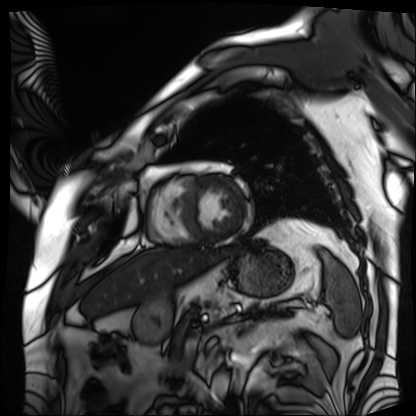
<record>
<modality>cardiac MRI</modality>
<cohort>patient</cohort>
</record>